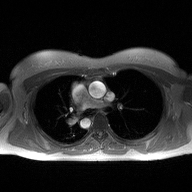
modality:
  type: 2D phase-contrast cine MRI
  region: ascending aorta
  reconstruction: high-resolution GRAPPA acquisition